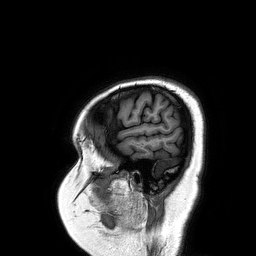
– modality: 3 Tesla brain MRI
– series: 3D T1-weighted turbo field echo
– study: ring-enhancing brain masses